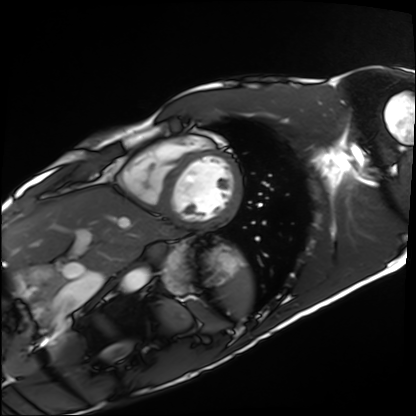
Q: What kind of scan is this?
A: Cardiac MRI.
Subject group: healthy volunteer.